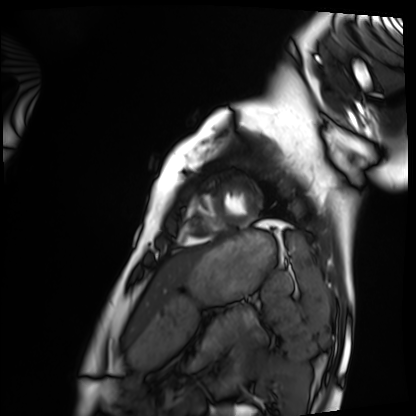
Summary: Cardiac MRI. Subject group: healthy volunteer.